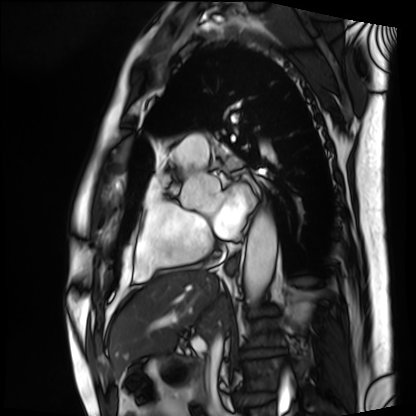
modality: cardiac MRI
subject group: patient